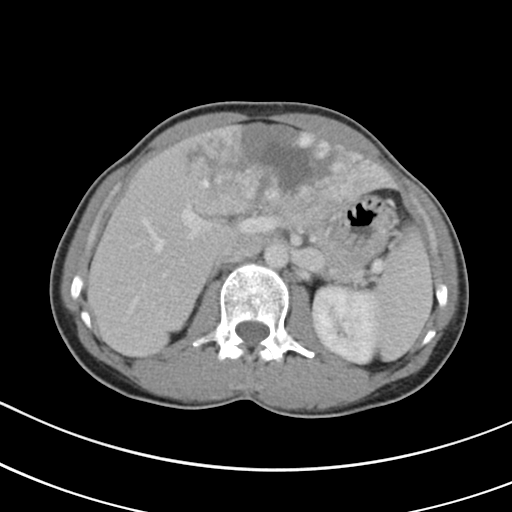
Multiphase abdominal CT, liver, portal venous phase.
Patient: female, age 49.